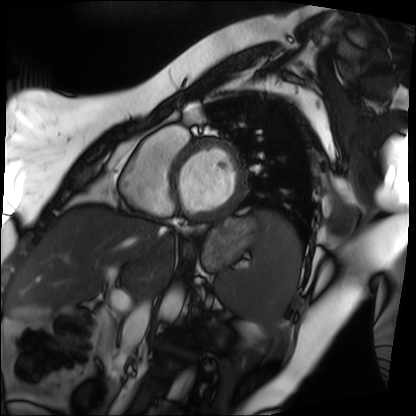
modality=cardiac MRI
subject group=patient